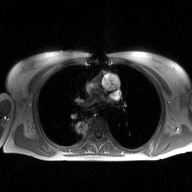
Q: What kind of scan is this?
A: 2D phase-contrast cine MRI of the ascending aorta.